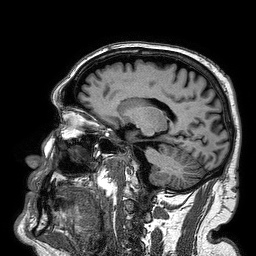
3 Tesla brain MRI. Series: 3D T1-weighted turbo field echo. Study: ring-enhancing brain masses.